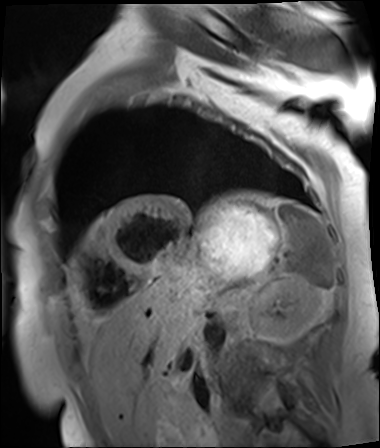
Summary:
Cardiac MR image of the myocardium. Subject cohort: cardiac patient.